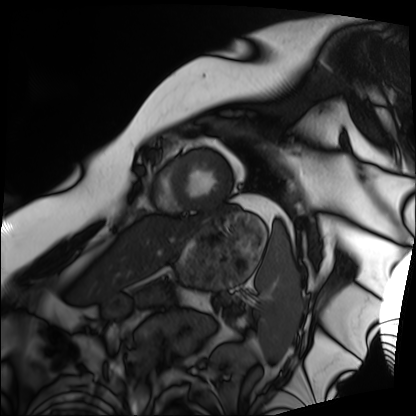
Case summary:
Cardiac MRI. Subject group: patient.